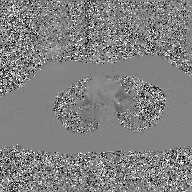
Case:
• modality — 2D phase-contrast cine MRI of the ascending aorta, GAN super-resolution reconstruction